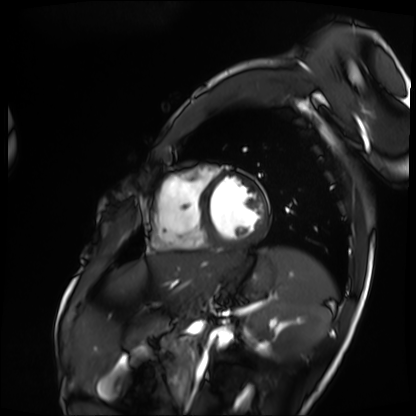
Summary:
Cardiac MRI. Subject group: patient.